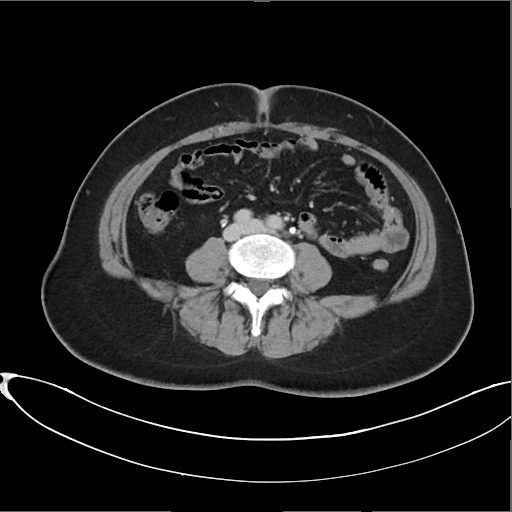
modality — multiphase abdominal CT, liver, delayed phase; patient — female, age 45; history — prior chemotherapy.